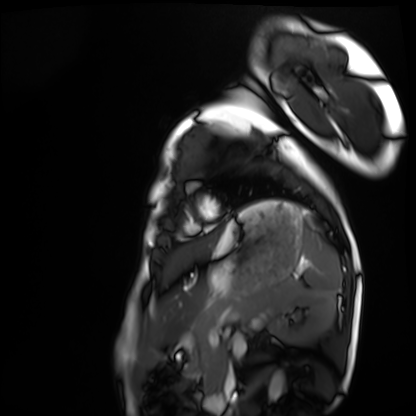
Summary: Cardiac MRI. Subject group: healthy volunteer.